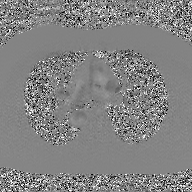
2D phase-contrast cine MRI of the ascending aorta, GAN super-resolution reconstruction.